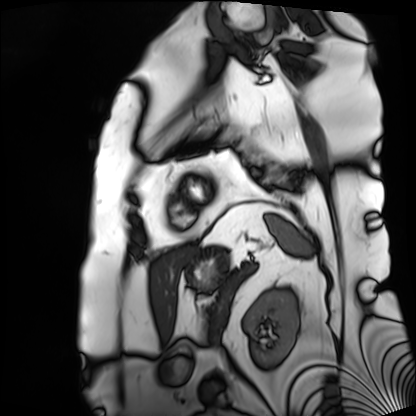
Cardiac MRI. Subject group: patient.